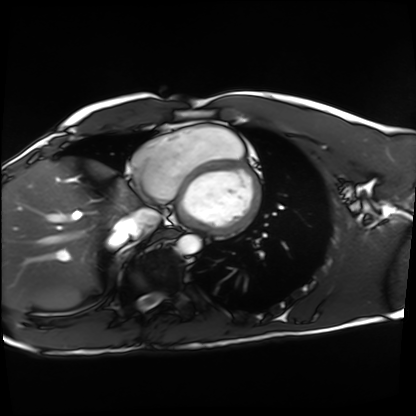
Cardiac MRI.
Subject group: healthy volunteer.